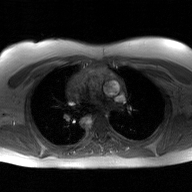
• modality · 2D phase-contrast cine MRI of the ascending aorta, GAN super-resolution reconstruction